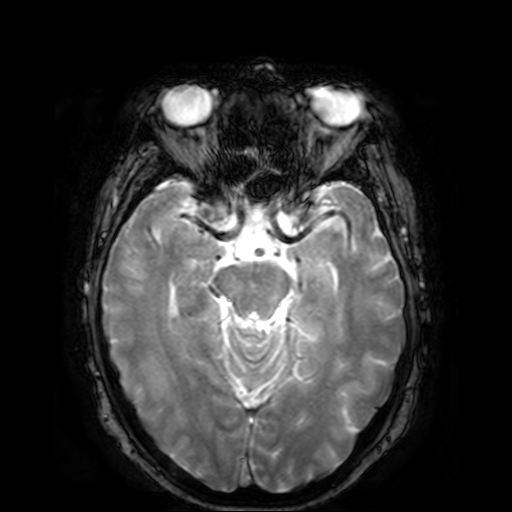
Clinical context: 3 Tesla brain MRI. Series: T2-weighted fast field echo. Study: ring-enhancing brain masses.